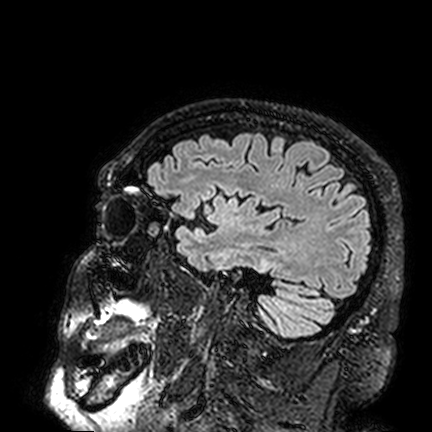
modality: 3 Tesla brain MRI | series: FLAIR VISTA | study: ring-enhancing brain masses.